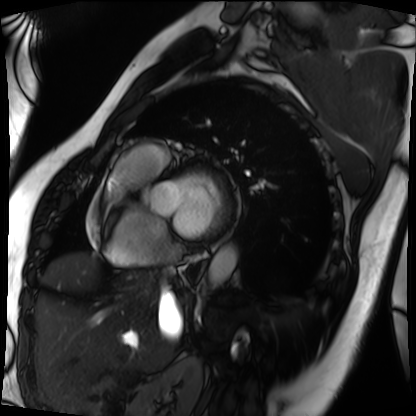
Summary: Cardiac MRI. Subject group: patient.